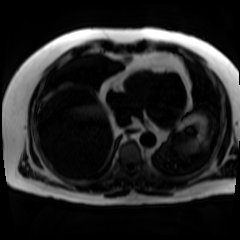
Chemical-shift-encoded cardiac MRI.